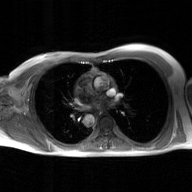
Q: What kind of scan is this?
A: 2D phase-contrast cine MRI of the ascending aorta, GAN super-resolution reconstruction.